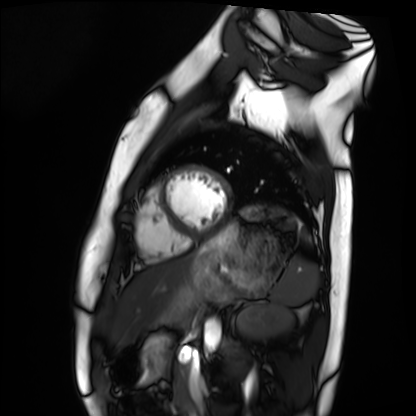
modality = cardiac MRI
subject group = healthy volunteer